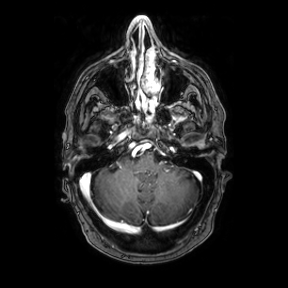
3 Tesla brain MRI. Series: axial. Study: ring-enhancing brain masses.